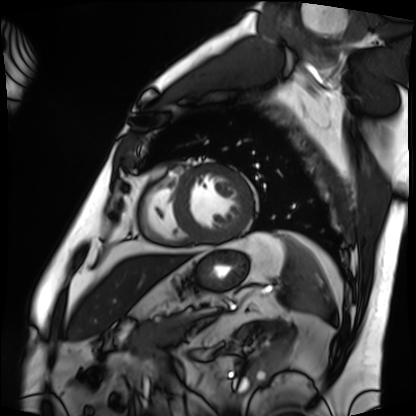
• modality: cardiac MRI
• subject group: patient